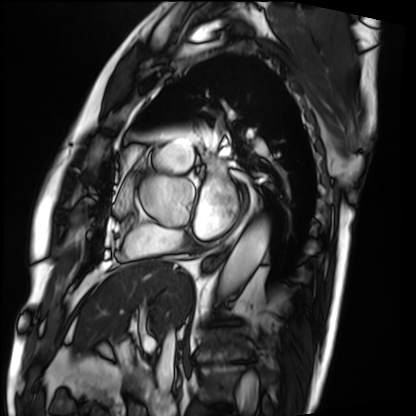
Q: What kind of scan is this?
A: Cardiac MRI.
Subject group: patient.